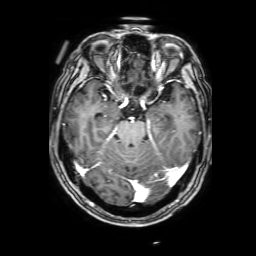
Clinical context:
3 Tesla brain MRI. Series: 3D T1-weighted with SENSE. Study: ring-enhancing brain masses.